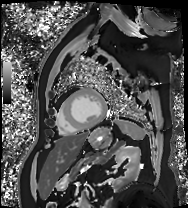
Cardiac MRI. Subject group: patient.